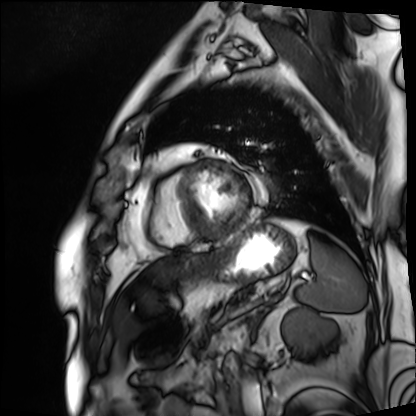
  modality: cardiac MRI
  cohort: patient